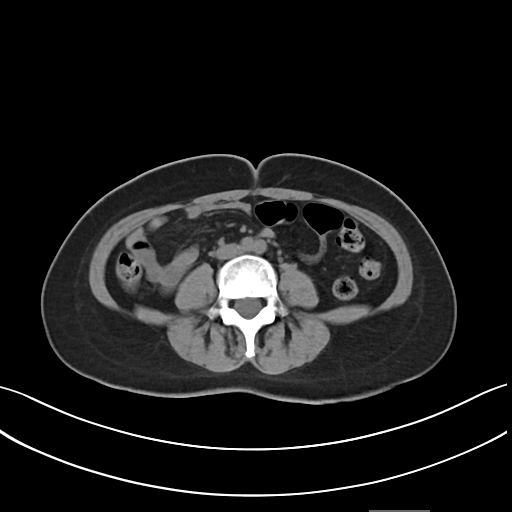
Summary:
Multiphase abdominal CT, liver, non-contrast phase. Patient: female, age 46. History: prior chemotherapy.